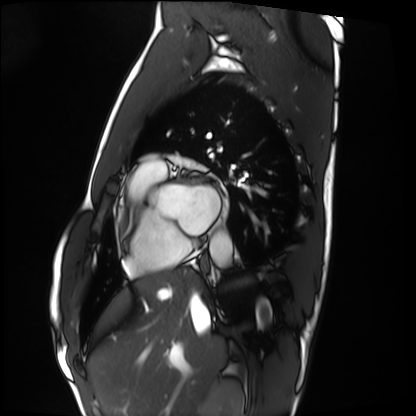
<study>
  <modality>cardiac MRI</modality>
  <cohort>healthy volunteer</cohort>
</study>